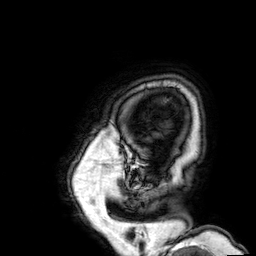
Case:
• modality — 3 Tesla brain MRI
• series — 3D T1-weighted
• study — ring-enhancing brain masses